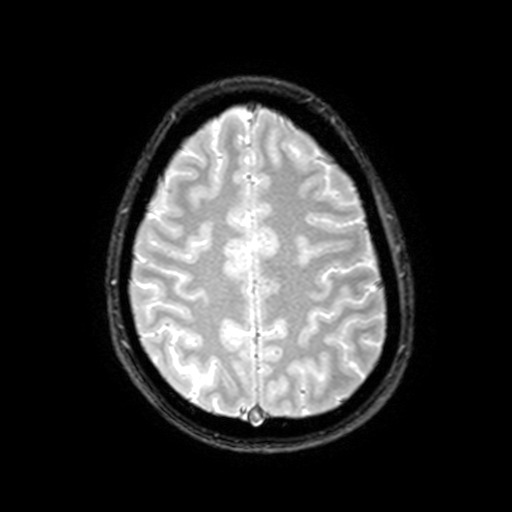
modality — 3 Tesla brain MRI; series — T2-weighted fast field echo with SENSE; study — ring-enhancing brain masses.